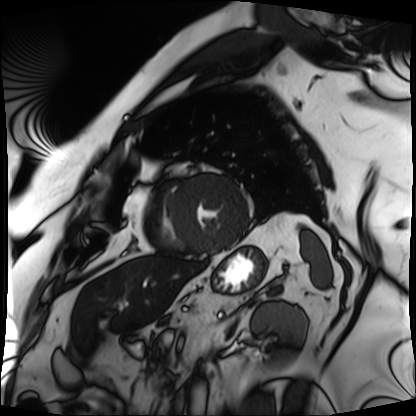
Cardiac MRI.
Subject group: patient.